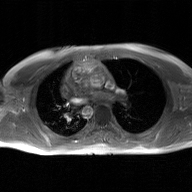
Summary:
2D phase-contrast cine MRI of the ascending aorta, GAN super-resolution reconstruction.